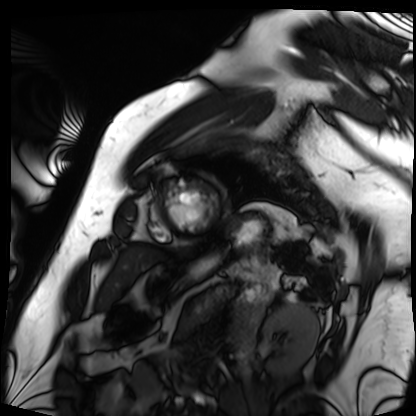
Cardiac MRI. Subject group: patient.